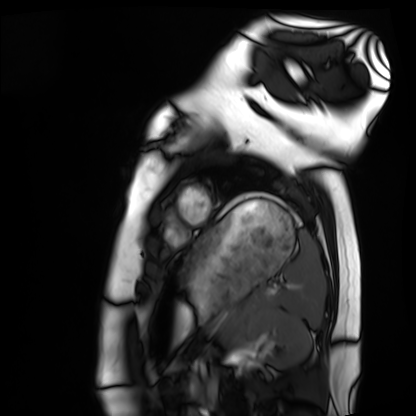
modality — cardiac MRI
subject group — healthy volunteer